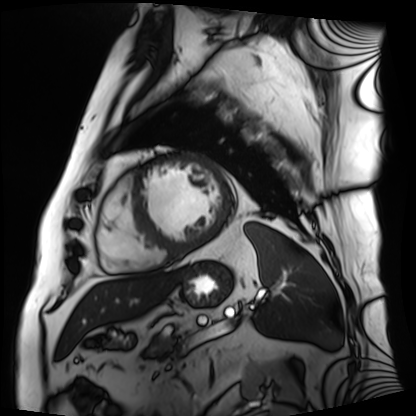
Cardiac MRI. Subject group: patient.